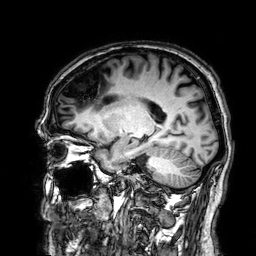
<study>
  <modality>
    <type>brain MRI</type>
    <field_strength>3T</field_strength>
  </modality>
  <series>3D T1-weighted</series>
  <study_topic>ring-enhancing brain masses</study_topic>
</study>